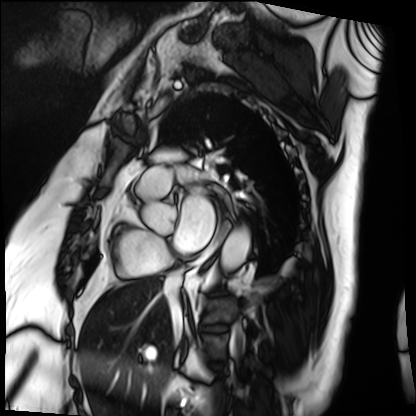
modality — cardiac MRI; subject group — patient.